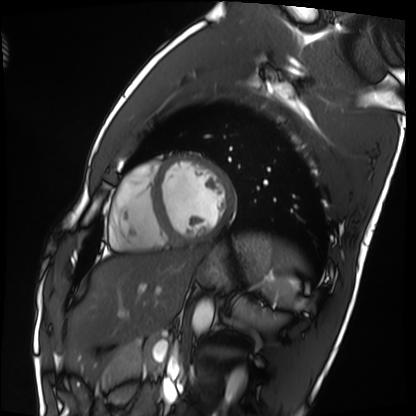
Case summary: Cardiac MRI. Subject group: healthy volunteer.